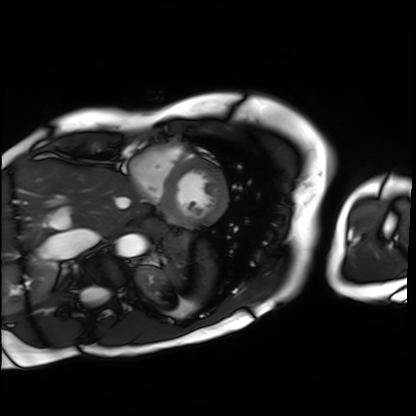
Cardiac MRI.
Subject group: patient.